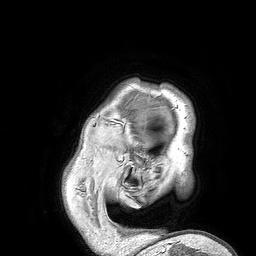
Summary:
3 Tesla brain MRI. Study: ring-enhancing brain masses.